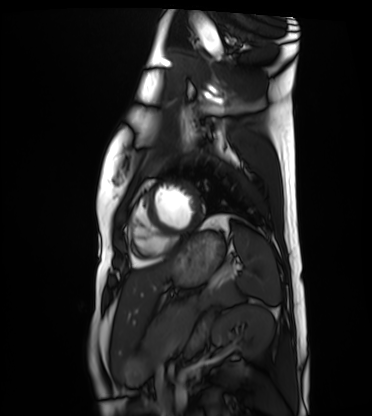
| field | value |
|---|---|
| modality | cardiac MRI |
| subject group | healthy volunteer |